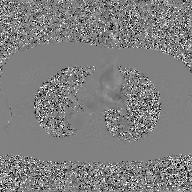
<scan>
<modality>
  <type>2D phase-contrast cine MRI</type>
  <region>ascending aorta</region>
  <reconstruction>GAN super-resolution reconstruction</reconstruction>
</modality>
</scan>